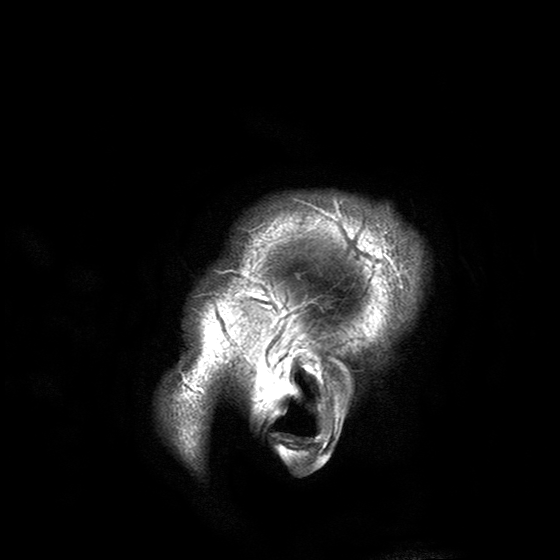
modality=3 Tesla brain MRI; series=T2-weighted turbo spin echo with SENSE; study=ring-enhancing brain masses.